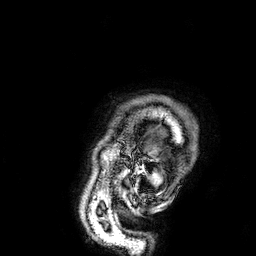
modality: 3 Tesla brain MRI | series: 3D T1-weighted | study: ring-enhancing brain masses.